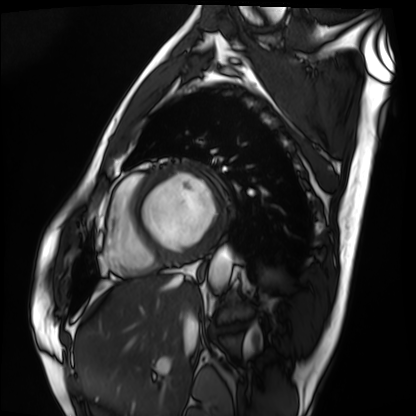
* modality — cardiac MRI
* subject group — patient